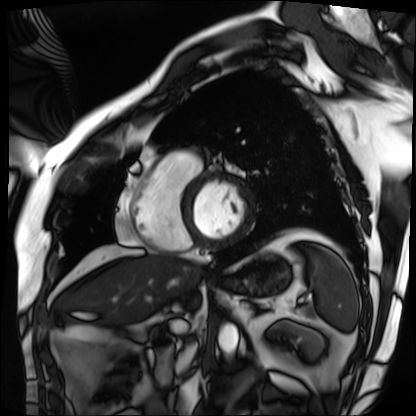
<case>
<modality>cardiac MRI</modality>
<cohort>patient</cohort>
</case>